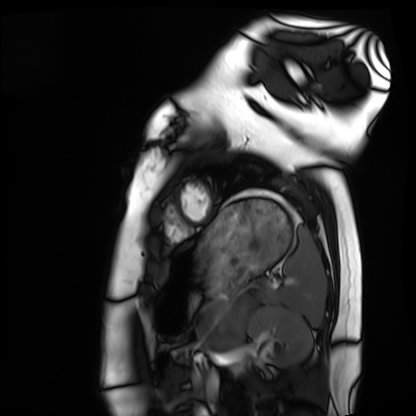
modality: cardiac MRI | subject group: healthy volunteer.